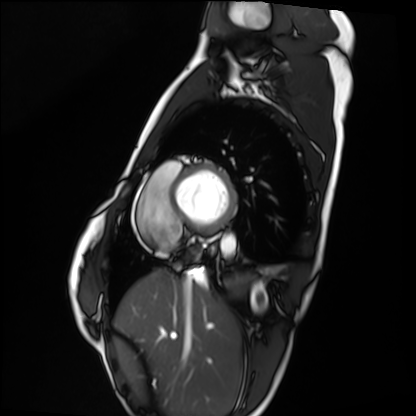
Summary:
Cardiac MRI. Subject group: healthy volunteer.